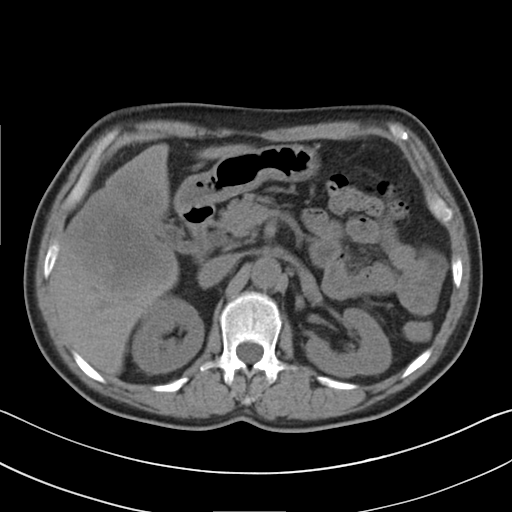
Multiphase abdominal CT, liver, non-contrast phase. Patient: male, age 55.